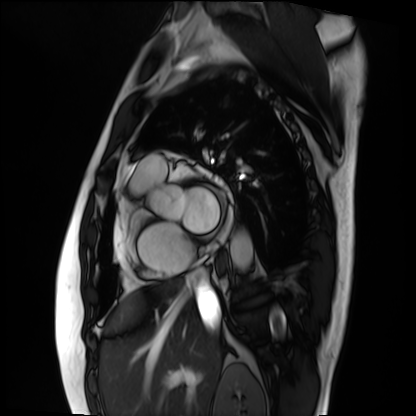
Case summary:
Cardiac MRI. Subject group: patient.